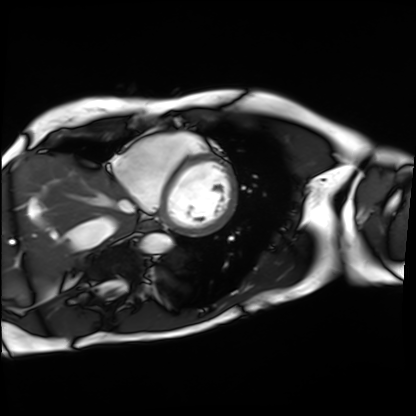
Summary:
Cardiac MRI. Subject group: patient.